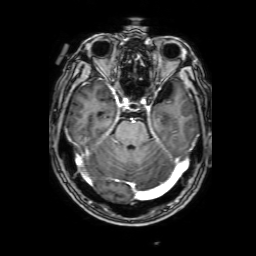
modality: 3 Tesla brain MRI | series: 3D T1-weighted with SENSE | study: ring-enhancing brain masses.